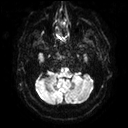
3 Tesla brain MRI.
Series: diffusion tensor imaging (medium iso).
Study: ring-enhancing brain masses.